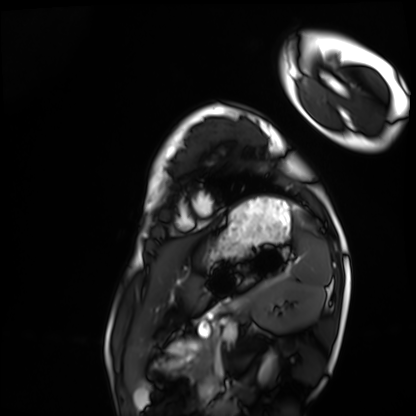
Clinical context: Cardiac MRI. Subject group: healthy volunteer.